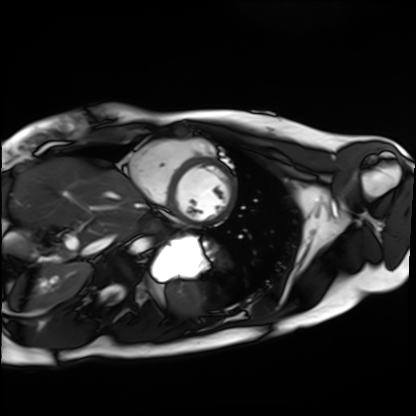
{
  "modality": "cardiac MRI",
  "cohort": "healthy volunteer"
}